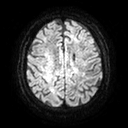
Clinical context:
3 Tesla brain MRI. Series: diffusion tensor imaging (medium iso). Study: ring-enhancing brain masses.